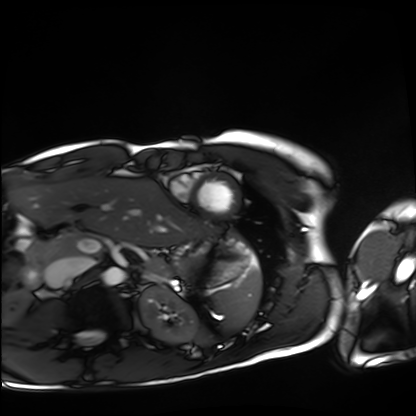
Case summary:
Cardiac MRI. Subject group: healthy volunteer.